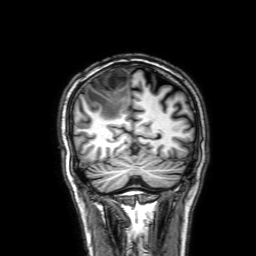
Q: What kind of scan is this?
A: 3 Tesla brain MRI.
Q: Series?
A: 3D T1-weighted with SENSE.
Study: ring-enhancing brain masses.